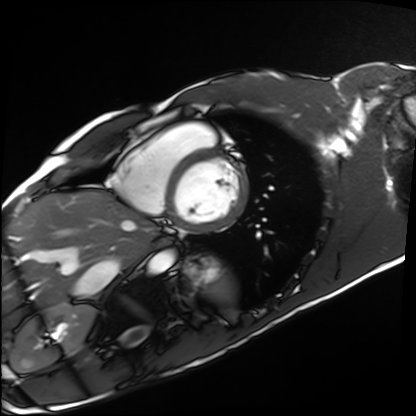
Cardiac MRI. Subject group: healthy volunteer.